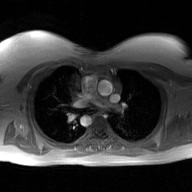
2D phase-contrast cine MRI of the ascending aorta, GAN super-resolution reconstruction.